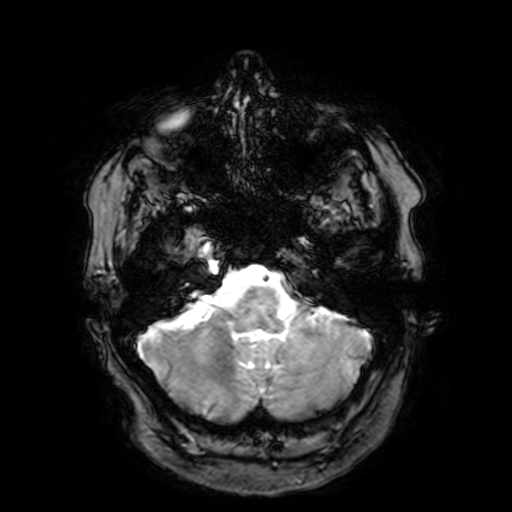
<study>
  <modality>
    <type>brain MRI</type>
    <field_strength>3T</field_strength>
  </modality>
  <series>T2-weighted fast field echo with SENSE</series>
  <study_topic>ring-enhancing brain masses</study_topic>
</study>